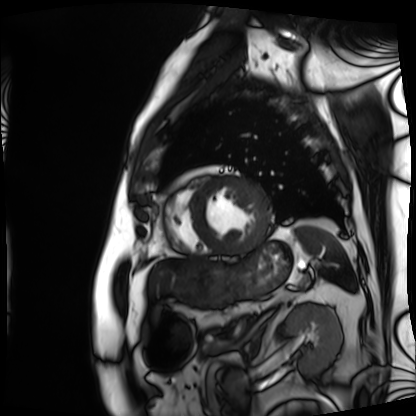
Cardiac MRI.
Subject group: patient.